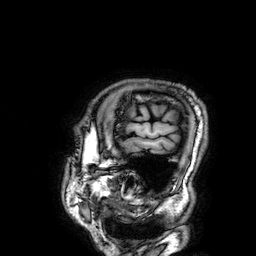
Summary: 3 Tesla brain MRI. Series: 3D T1-weighted. Study: ring-enhancing brain masses.